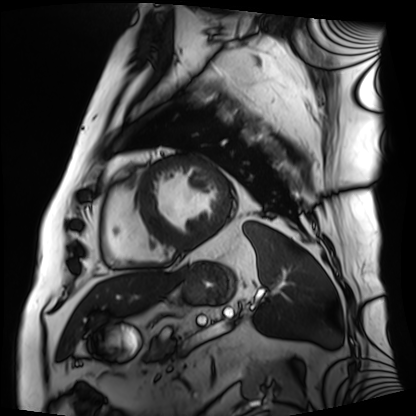
Cardiac MRI. Subject group: patient.